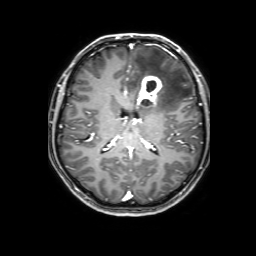
modality: 3 Tesla brain MRI
series: 3D T1-weighted with SENSE
study: ring-enhancing brain masses